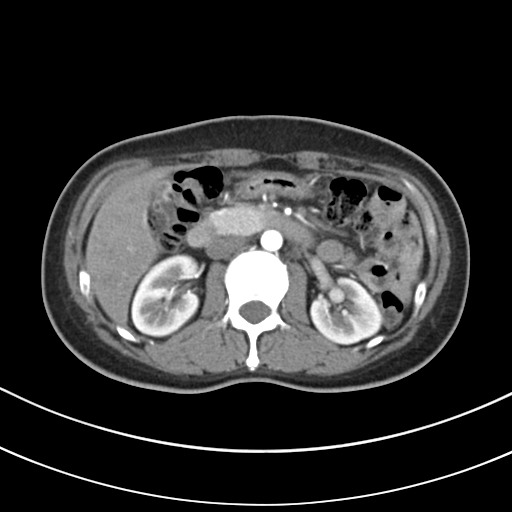
modality = multiphase abdominal CT, liver, arterial phase; patient = female, age 48.